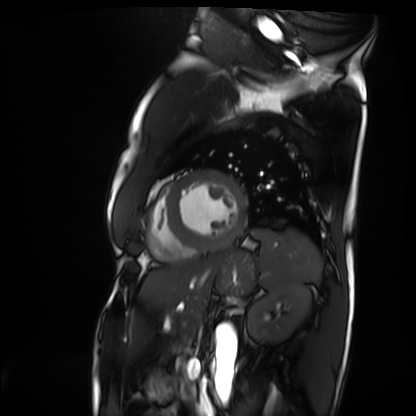
{"modality": "cardiac MRI", "cohort": "patient"}